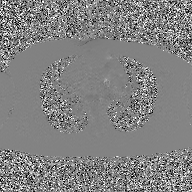
{"modality": {"type": "2D phase-contrast cine MRI", "region": "ascending aorta", "reconstruction": "GAN super-resolution reconstruction"}}